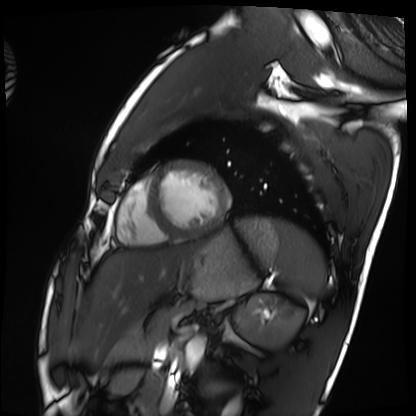
Cardiac MRI.
Subject group: healthy volunteer.